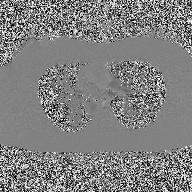
modality — 2D phase-contrast cine MRI of the ascending aorta.